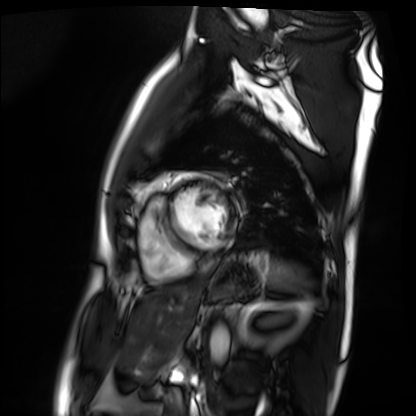
| field | value |
|---|---|
| modality | cardiac MRI |
| subject group | patient |